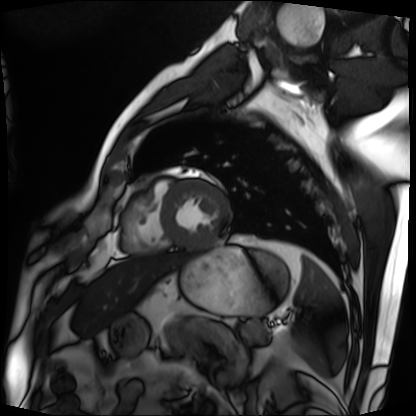
Case:
* modality · cardiac MRI
* subject group · patient